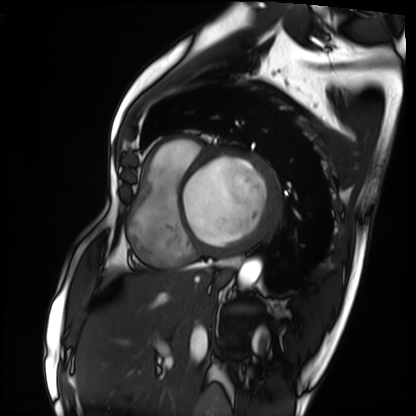
modality = cardiac MRI
subject group = patient